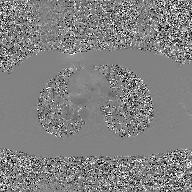
Summary:
2D phase-contrast cine MRI of the ascending aorta, GAN super-resolution reconstruction.